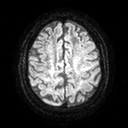
- modality — 3 Tesla brain MRI
- series — diffusion tensor imaging (medium iso)
- study — ring-enhancing brain masses